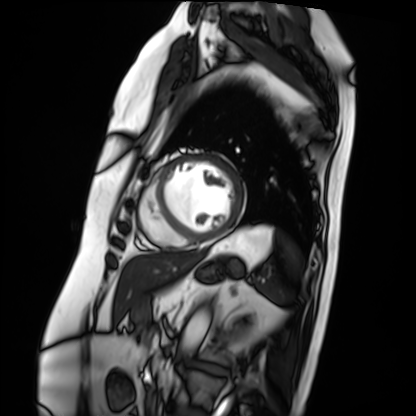
modality = cardiac MRI
subject group = patient